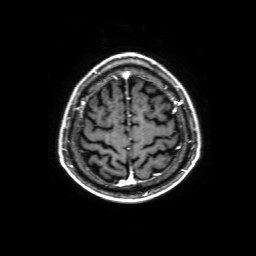
modality: 3 Tesla brain MRI; series: 3D T1-weighted with SENSE; study: ring-enhancing brain masses.